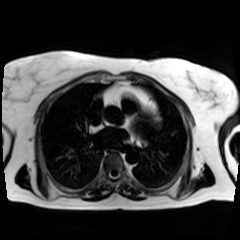
| field | value |
|---|---|
| modality | chemical-shift-encoded cardiac MRI |